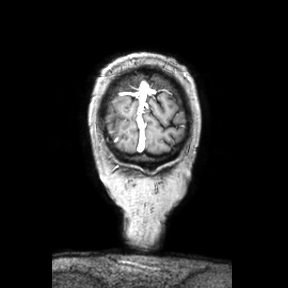
3 Tesla brain MRI. Study: ring-enhancing brain masses.